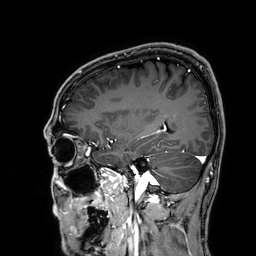
<case>
  <modality>
    <type>brain MRI</type>
    <field_strength>3T</field_strength>
  </modality>
  <series>3D T1-weighted</series>
  <study_topic>ring-enhancing brain masses</study_topic>
</case>